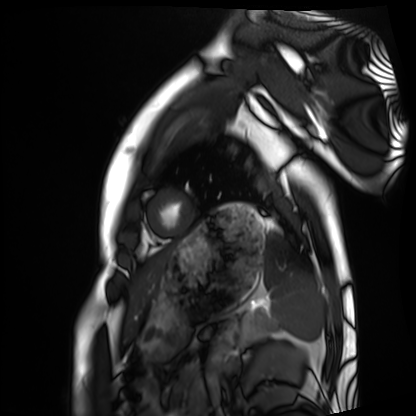
modality: cardiac MRI | subject group: healthy volunteer.